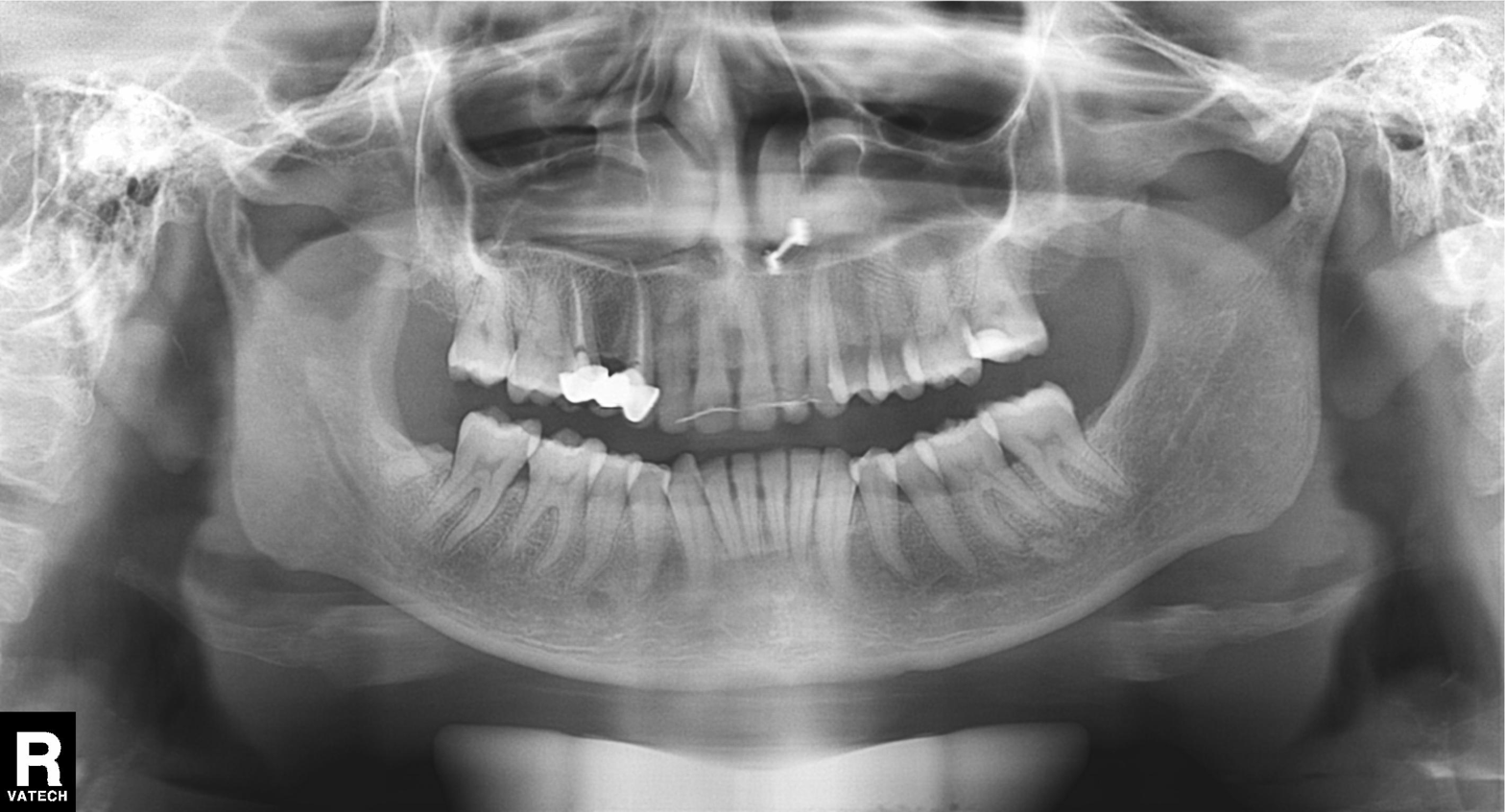
Summary:
Panoramic dental radiograph (orthopantomogram).
Conclusion:
Alveolar bone loss.